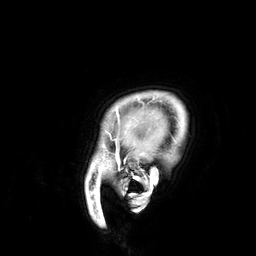
Case summary:
3 Tesla brain MRI. Series: 3D T1-weighted. Study: ring-enhancing brain masses.